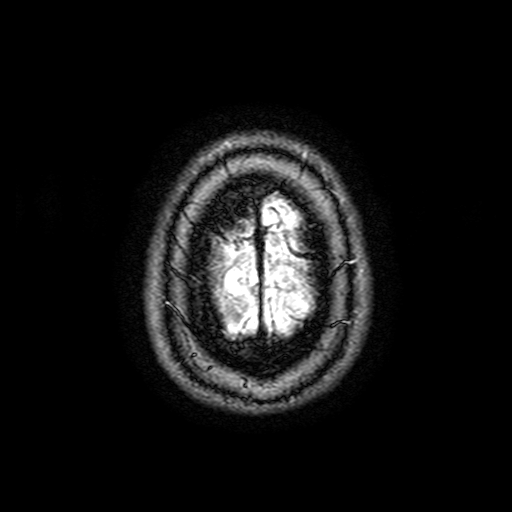
modality: 3 Tesla brain MRI | series: FLAIR with SPAIR, 3 mm | study: ring-enhancing brain masses.